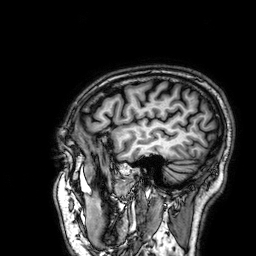
Clinical context:
3 Tesla brain MRI. Series: 3D T1-weighted. Study: ring-enhancing brain masses.